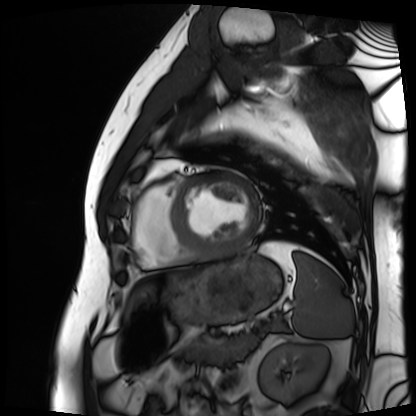
Q: What kind of scan is this?
A: Cardiac MRI.
Subject group: patient.